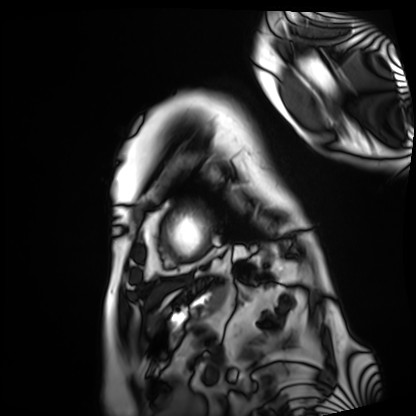
Q: What kind of scan is this?
A: Cardiac MRI.
Subject group: patient.